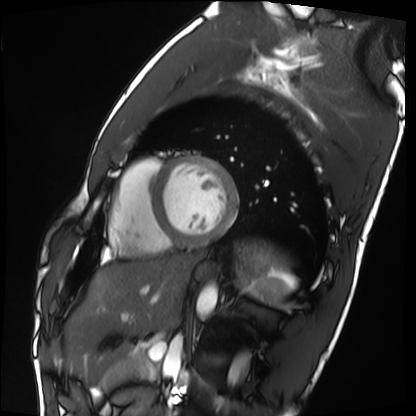
Cardiac MRI. Subject group: healthy volunteer.